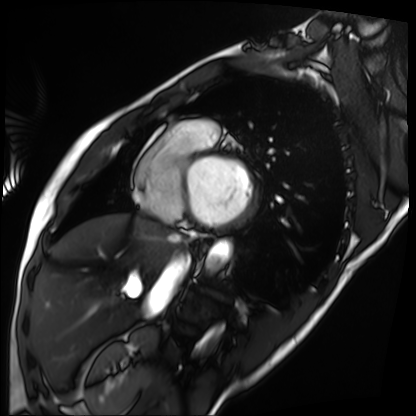
Cardiac MRI. Subject group: patient.